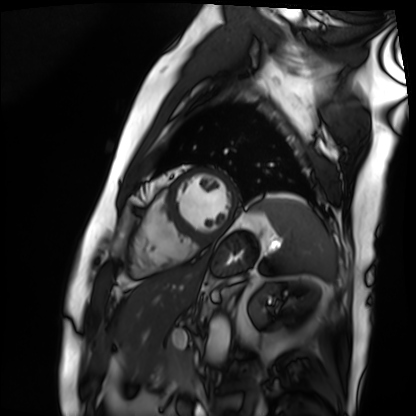
Cardiac MRI. Subject group: patient.